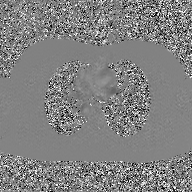
2D phase-contrast cine MRI of the ascending aorta, GAN super-resolution reconstruction.